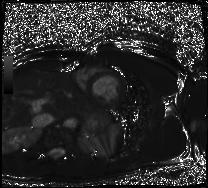
Case:
* modality: cardiac MRI
* subject group: healthy volunteer